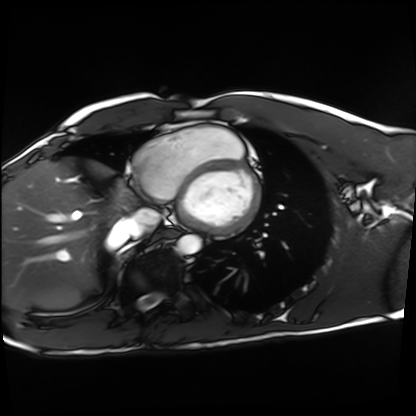
Cardiac MRI. Subject group: healthy volunteer.